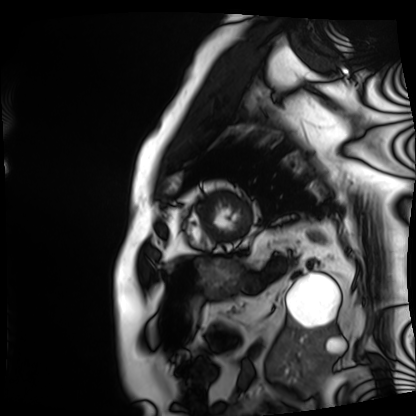
| field | value |
|---|---|
| modality | cardiac MRI |
| subject group | patient |